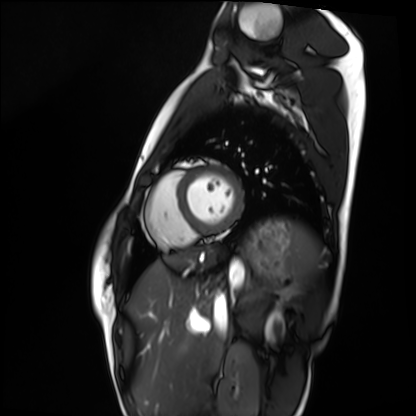
– modality · cardiac MRI
– subject group · healthy volunteer